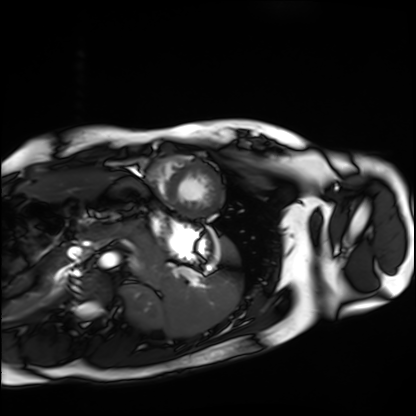
{
  "modality": "cardiac MRI",
  "cohort": "healthy volunteer"
}